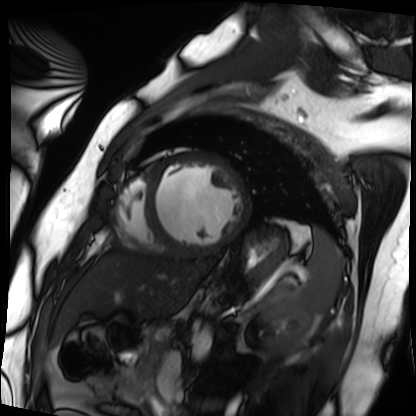
<case>
<modality>cardiac MRI</modality>
<cohort>patient</cohort>
</case>